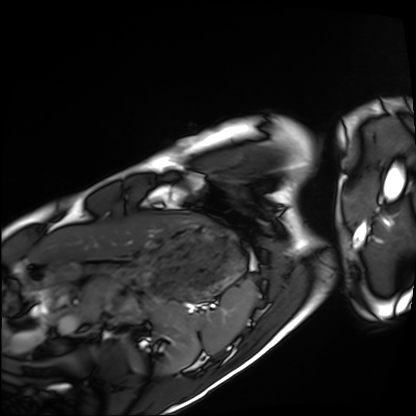
{"modality": "cardiac MRI", "cohort": "healthy volunteer"}